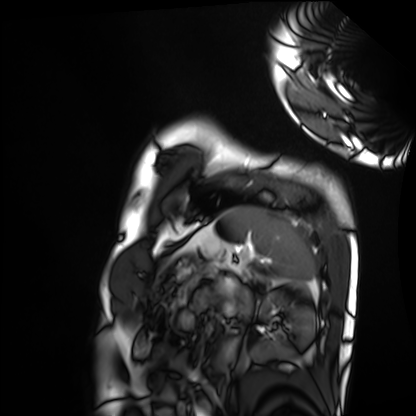
Summary: Cardiac MRI. Subject group: healthy volunteer.